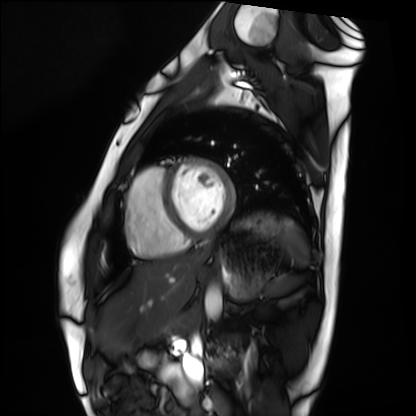
• modality · cardiac MRI
• subject group · healthy volunteer